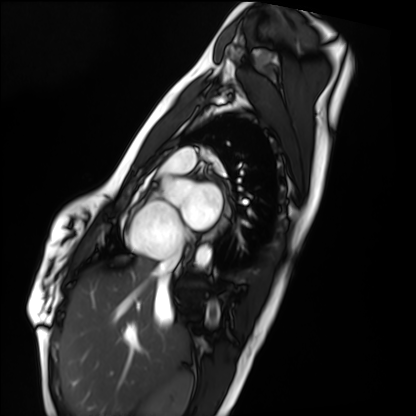
Case:
* modality — cardiac MRI
* subject group — healthy volunteer